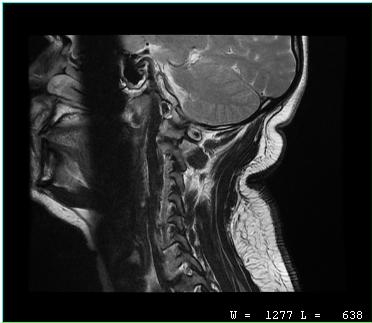
Q: What kind of scan is this?
A: MRI of the cervical spine.
Study: cervical spondylosis.